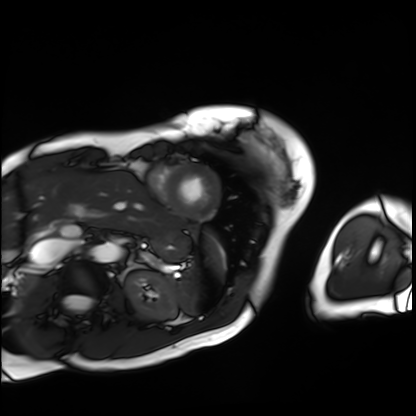
Cardiac MRI. Subject group: patient.